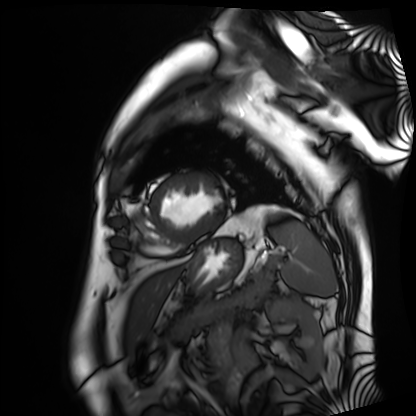
| field | value |
|---|---|
| modality | cardiac MRI |
| subject group | patient |